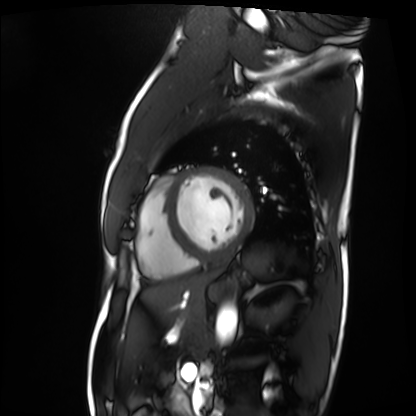
Q: What kind of scan is this?
A: Cardiac MRI.
Subject group: patient.